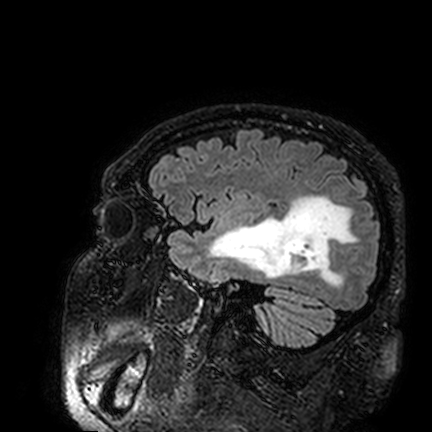
Q: What kind of scan is this?
A: 3 Tesla brain MRI.
Q: Series?
A: FLAIR VISTA.
Study: ring-enhancing brain masses.